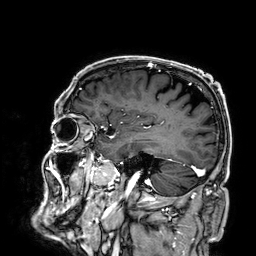
<record>
<modality>
  <type>brain MRI</type>
  <field_strength>3T</field_strength>
</modality>
<series>3D T1-weighted</series>
<study_topic>ring-enhancing brain masses</study_topic>
</record>